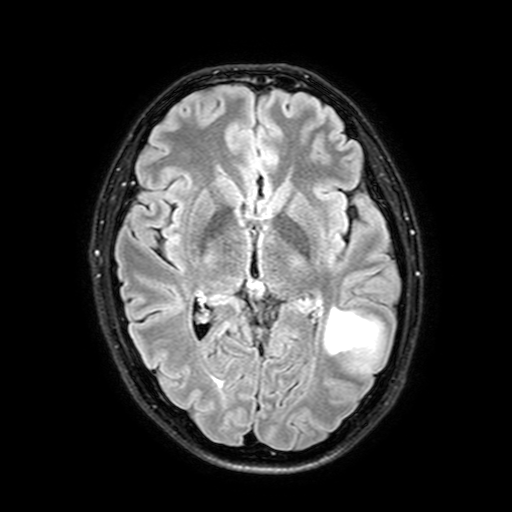
Clinical context: 3 Tesla brain MRI. Series: FLAIR with SPAIR, 3 mm. Study: ring-enhancing brain masses.